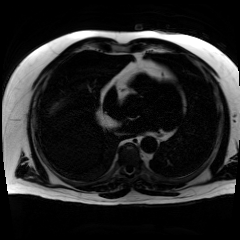
modality = chemical-shift-encoded cardiac MRI.